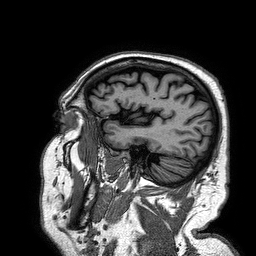
{"modality": {"type": "brain MRI", "field_strength": "3T"}, "study_topic": "ring-enhancing brain masses"}